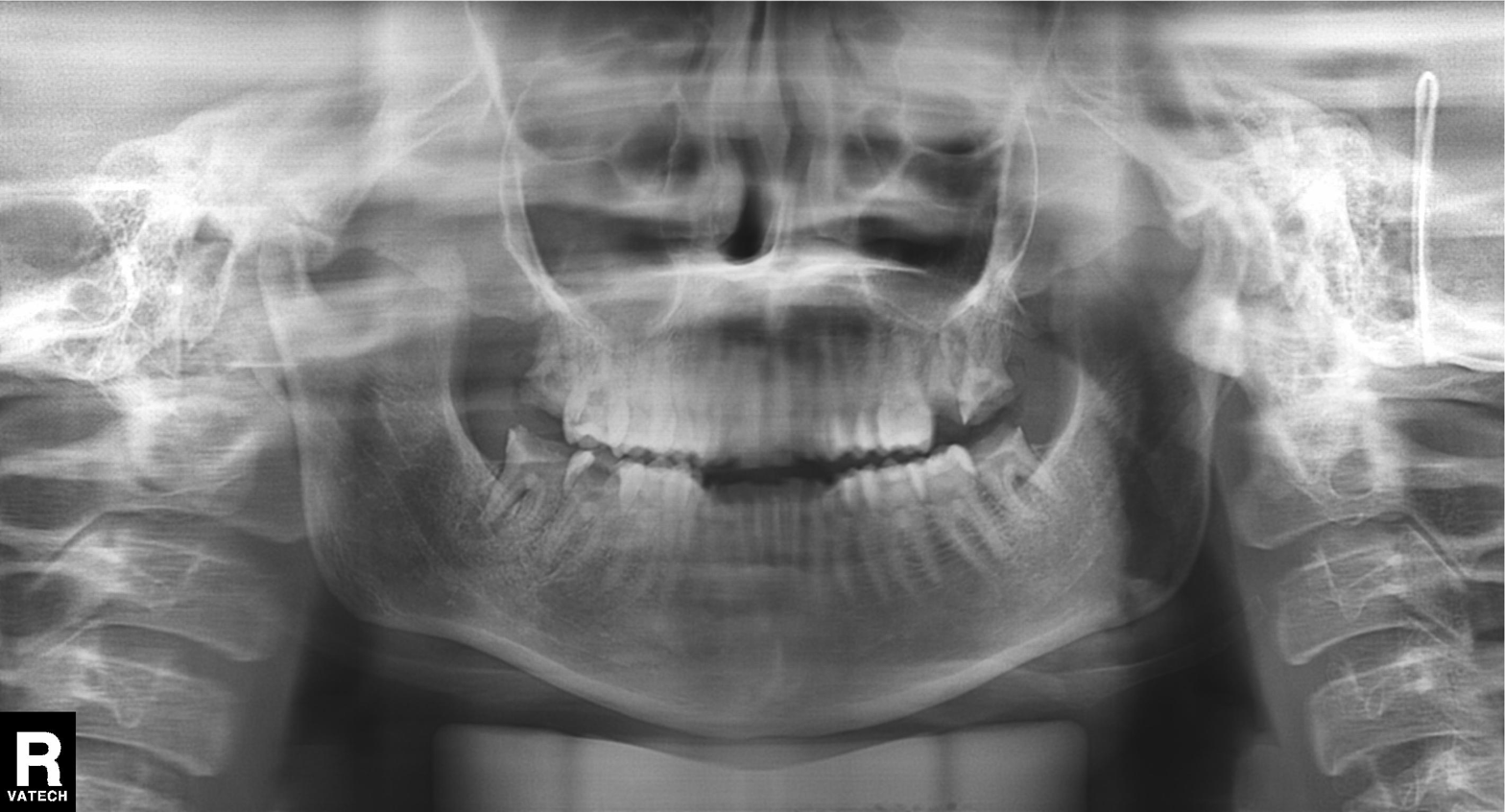
Panoramic dental radiograph (orthopantomogram).
Finding: dental caries (cavities).